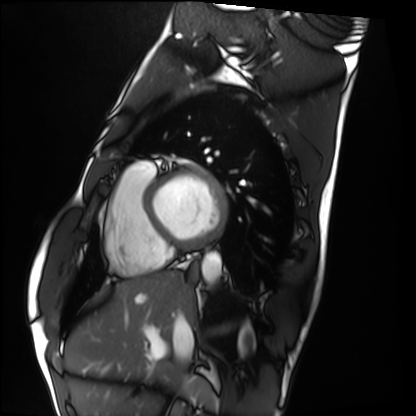
{"modality": "cardiac MRI", "cohort": "healthy volunteer"}